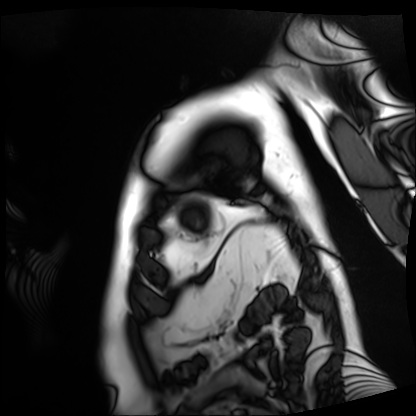
Cardiac MRI. Subject group: patient.